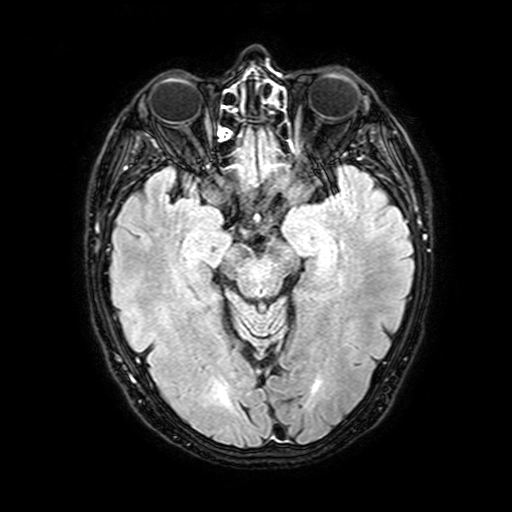
modality:
  type: brain MRI
  field_strength: 3T
series: FLAIR with SPAIR, 3 mm
study_topic: ring-enhancing brain masses